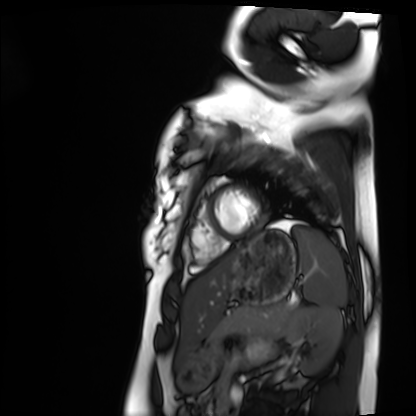
{
  "modality": "cardiac MRI",
  "cohort": "healthy volunteer"
}